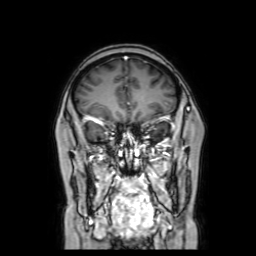
3 Tesla brain MRI. Series: coronal with contrast. Study: ring-enhancing brain masses.